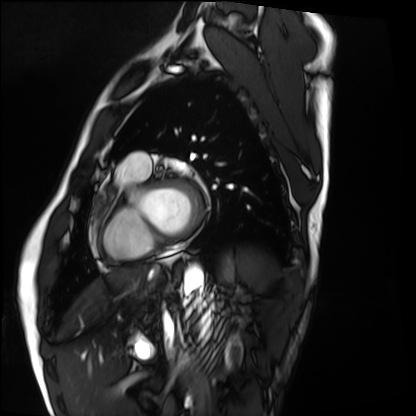
Cardiac MRI.
Subject group: healthy volunteer.